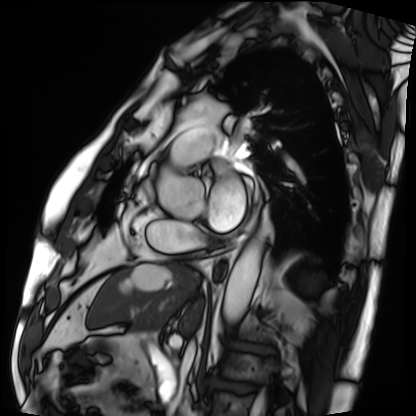
Cardiac MRI. Subject group: patient.